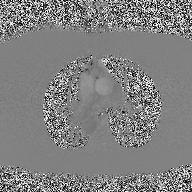
Case:
- modality · 2D phase-contrast cine MRI of the ascending aorta